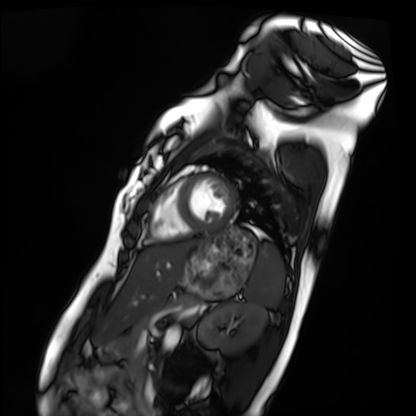
modality = cardiac MRI; subject group = healthy volunteer.